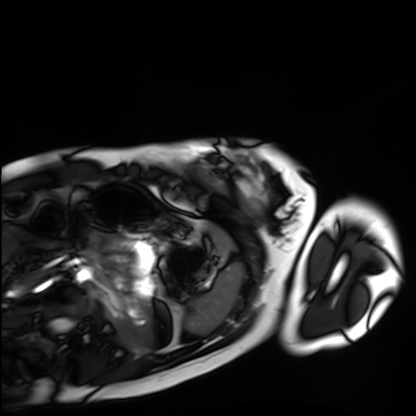
- modality: cardiac MRI
- subject group: healthy volunteer